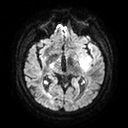
Summary: 3 Tesla brain MRI. Study: ring-enhancing brain masses.